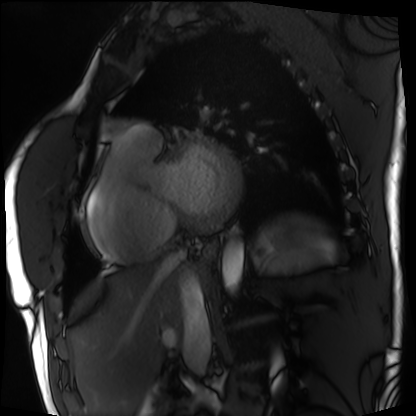
Case summary:
Cardiac MRI. Subject group: patient.